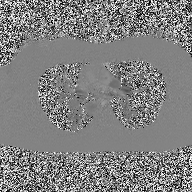
modality:
  type: 2D phase-contrast cine MRI
  region: ascending aorta
  reconstruction: high-resolution GRAPPA acquisition